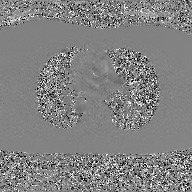
2D phase-contrast cine MRI of the ascending aorta, GAN super-resolution reconstruction.